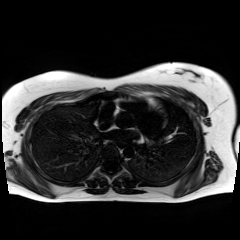
modality = chemical-shift-encoded cardiac MRI.